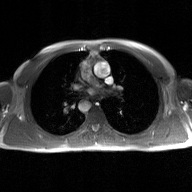
2D phase-contrast cine MRI of the ascending aorta, GAN super-resolution reconstruction.